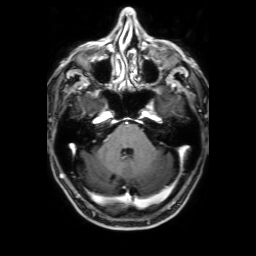
3 Tesla brain MRI. Series: 3D T1-weighted with SENSE. Study: ring-enhancing brain masses.